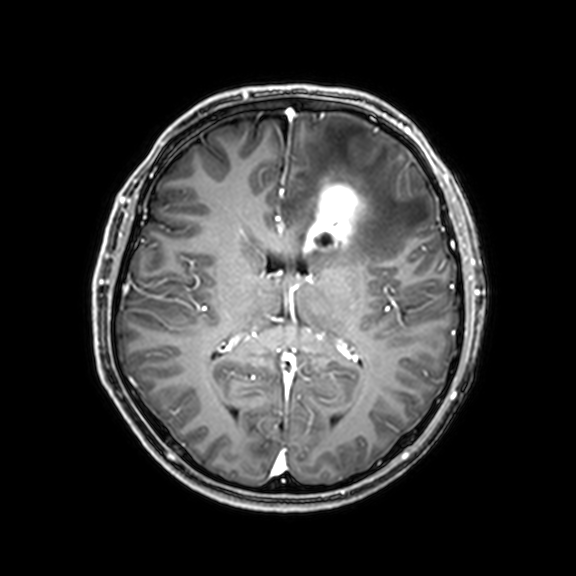
modality: 3 Tesla brain MRI; series: 3D T1-weighted with CLEAR; study: ring-enhancing brain masses.